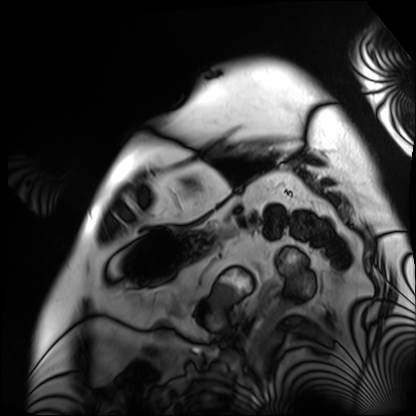
modality — cardiac MRI | subject group — patient.